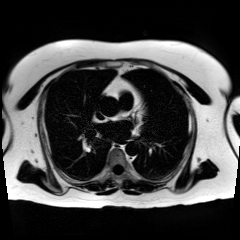
| field | value |
|---|---|
| modality | chemical-shift-encoded cardiac MRI |